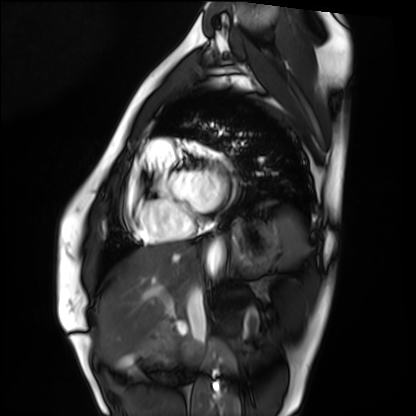
Case:
- modality: cardiac MRI
- subject group: healthy volunteer